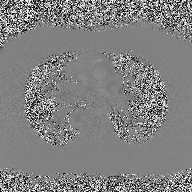
Q: What kind of scan is this?
A: 2D phase-contrast cine MRI of the ascending aorta.